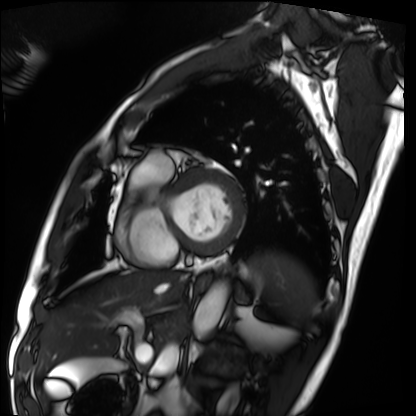
Cardiac MRI.
Subject group: patient.